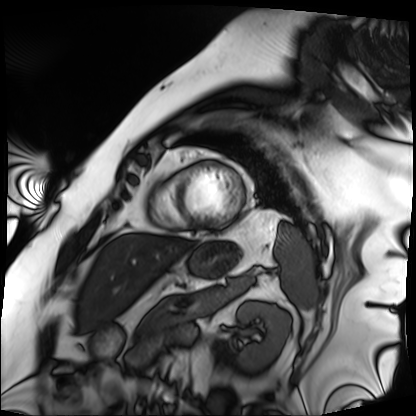
modality: cardiac MRI
cohort: patient